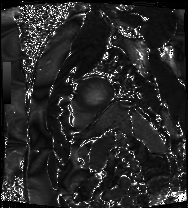
Cardiac MRI.
Subject group: patient.